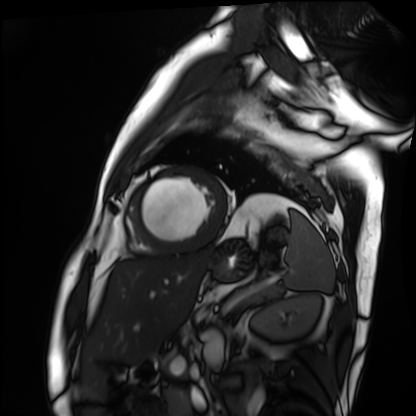
Cardiac MRI.
Subject group: patient.